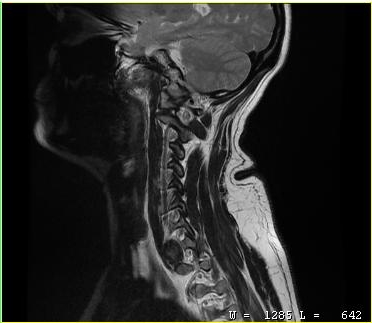
MRI of the cervical spine. Study: cervical spondylosis.